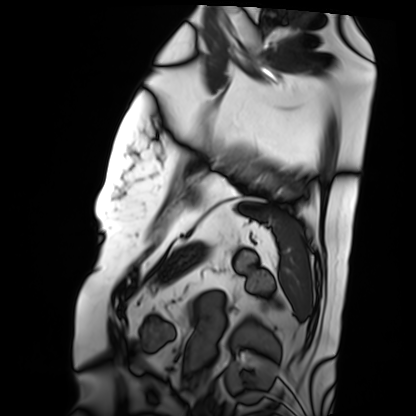
– modality: cardiac MRI
– subject group: patient